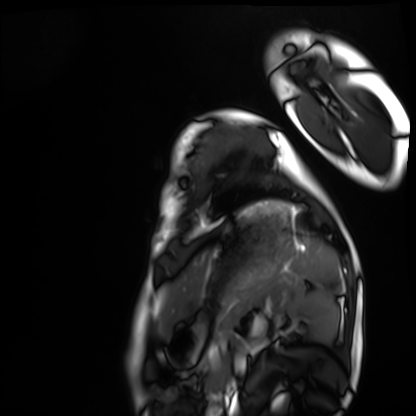
| field | value |
|---|---|
| modality | cardiac MRI |
| subject group | healthy volunteer |